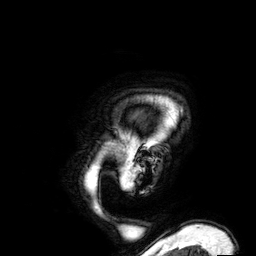
3 Tesla brain MRI. Series: 3D T1-weighted. Study: ring-enhancing brain masses.